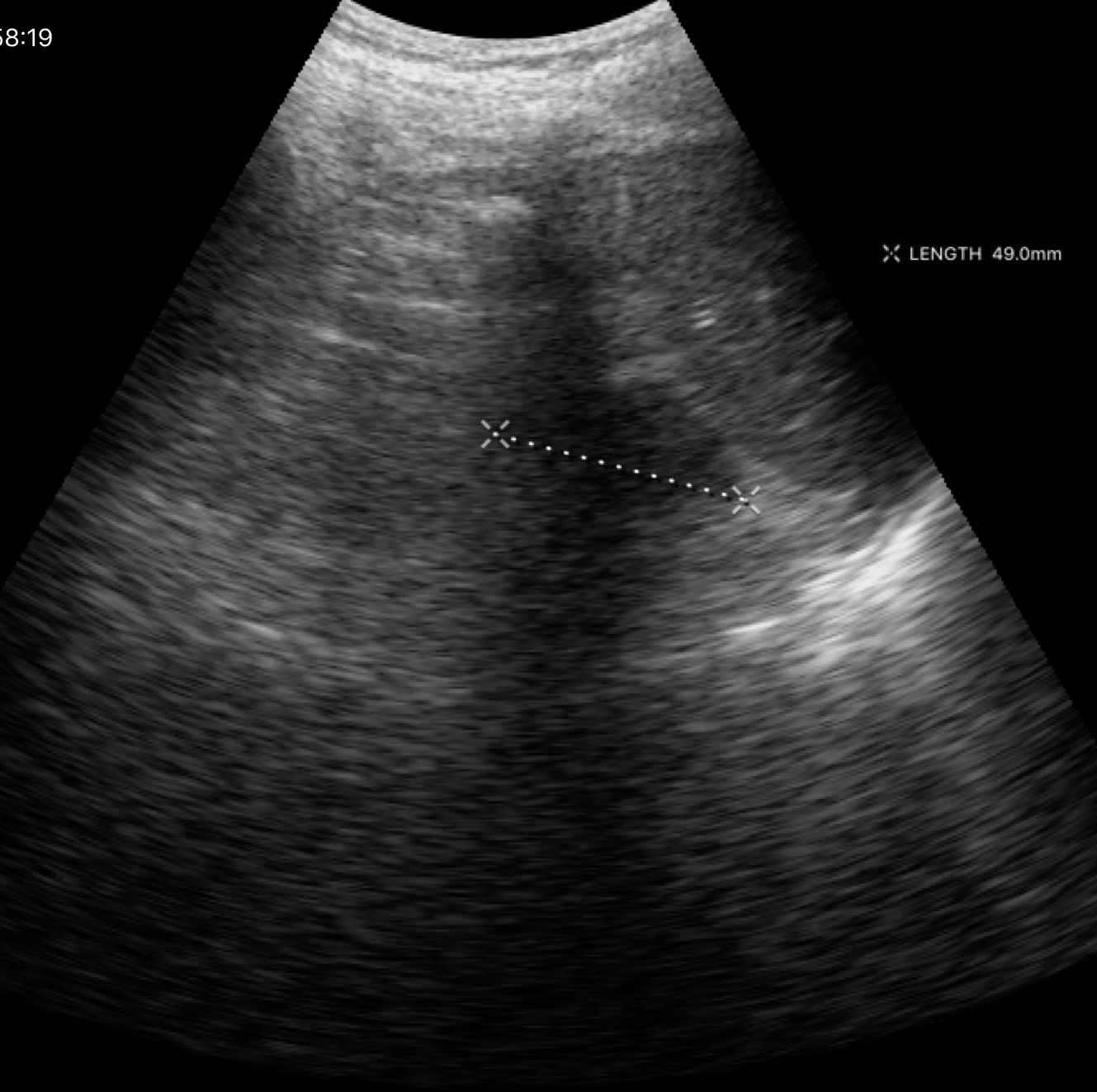
Summary:
Genitourinary ultrasound.